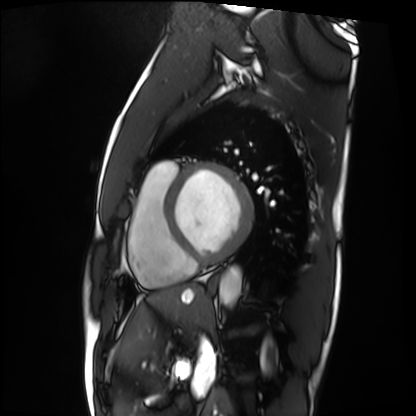
<scan>
  <modality>cardiac MRI</modality>
  <cohort>patient</cohort>
</scan>